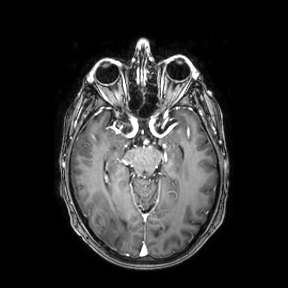
Summary:
3 Tesla brain MRI. Series: axial. Study: ring-enhancing brain masses.